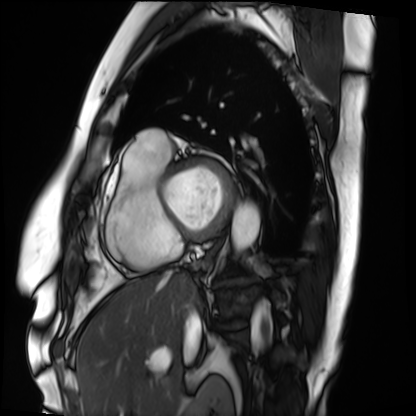
Cardiac MRI.
Subject group: patient.